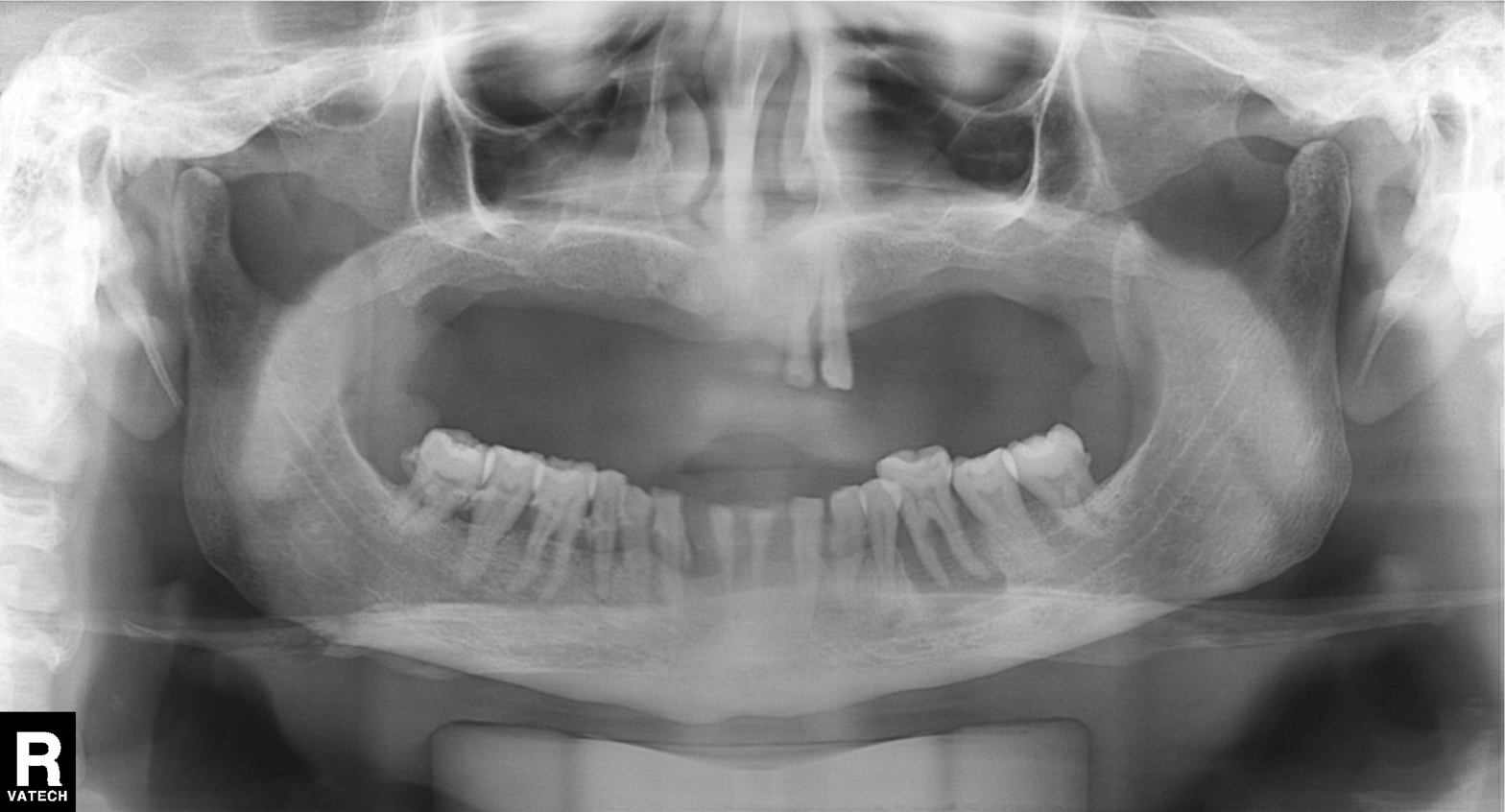
| feature | finding |
|---|---|
| modality | panoramic dental radiograph (orthopantomogram) |
| finding | alveolar bone loss |